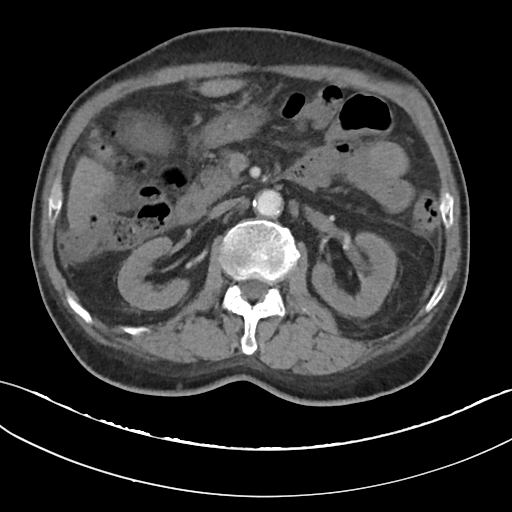
Multiphase abdominal CT, liver, arterial phase. Patient: male, age 68. History: cirrhosis, viral hepatitis.